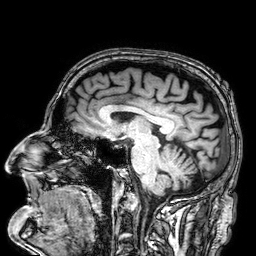
• modality — 3 Tesla brain MRI
• series — 3D T1-weighted
• study — ring-enhancing brain masses